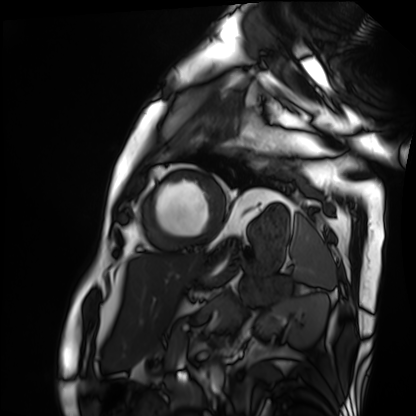
{
  "modality": "cardiac MRI",
  "cohort": "patient"
}